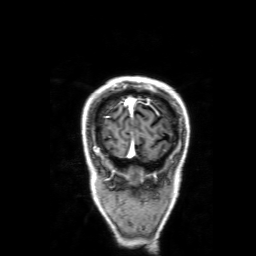
Summary: 3 Tesla brain MRI. Series: 3D T1-weighted with SENSE. Study: ring-enhancing brain masses.